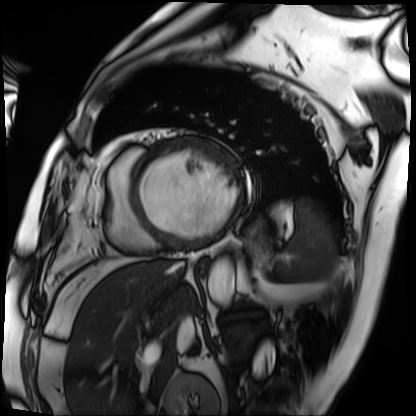
modality = cardiac MRI; subject group = patient.